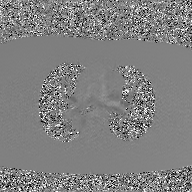
{"modality": {"type": "2D phase-contrast cine MRI", "region": "ascending aorta", "reconstruction": "GAN super-resolution reconstruction"}}